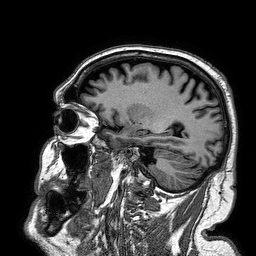
3 Tesla brain MRI. Series: 3D T1-weighted turbo field echo. Study: ring-enhancing brain masses.